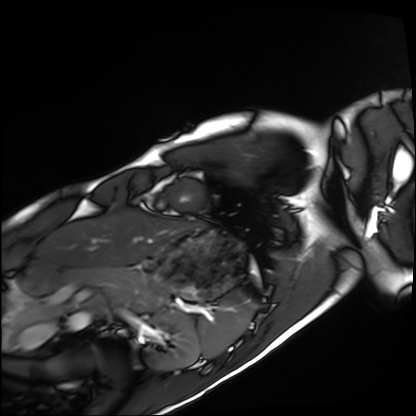
modality: cardiac MRI
subject group: healthy volunteer